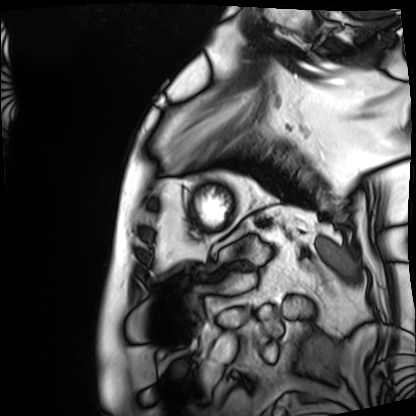
Summary: Cardiac MRI. Subject group: patient.